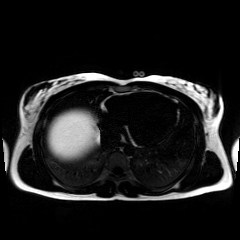
modality: chemical-shift-encoded cardiac MRI